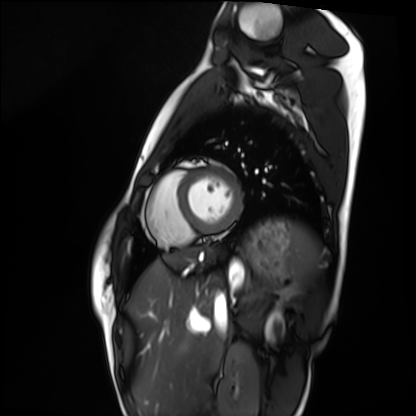
Q: What kind of scan is this?
A: Cardiac MRI.
Subject group: healthy volunteer.